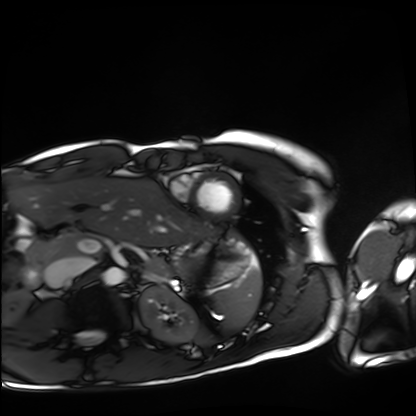
Cardiac MRI.
Subject group: healthy volunteer.